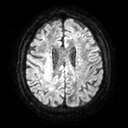
Summary: 3 Tesla brain MRI. Series: diffusion tensor imaging (medium iso). Study: ring-enhancing brain masses.